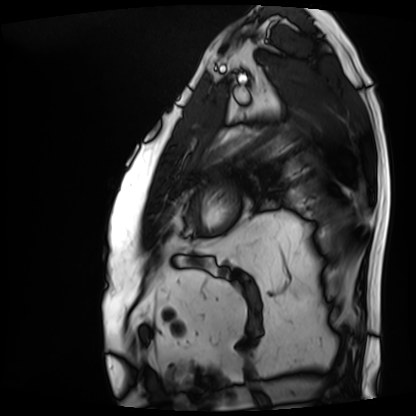
- modality: cardiac MRI
- subject group: patient